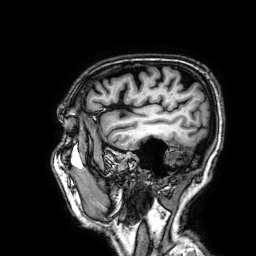
• modality · 3 Tesla brain MRI
• series · 3D T1-weighted
• study · ring-enhancing brain masses